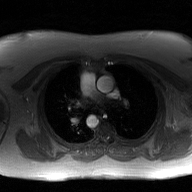
Summary:
2D phase-contrast cine MRI of the ascending aorta, GAN super-resolution reconstruction.